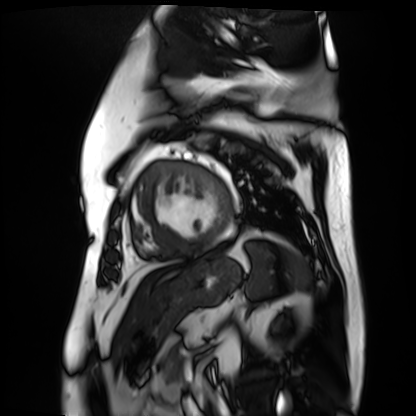
* modality · cardiac MR image of the myocardium
* subject cohort · cardiac patient